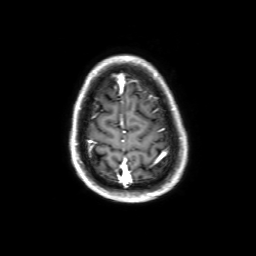
3 Tesla brain MRI.
Series: 3D T1-weighted with SENSE.
Study: ring-enhancing brain masses.